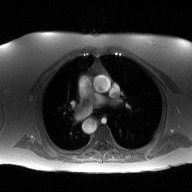
modality: 2D phase-contrast cine MRI of the ascending aorta